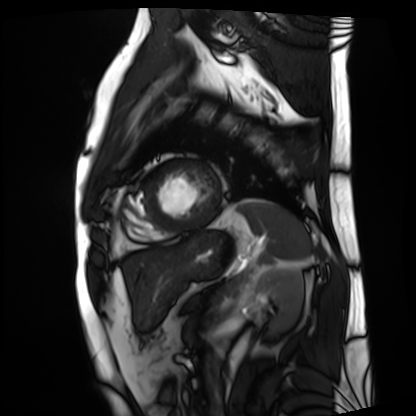
{
  "modality": "cardiac MRI",
  "cohort": "patient"
}